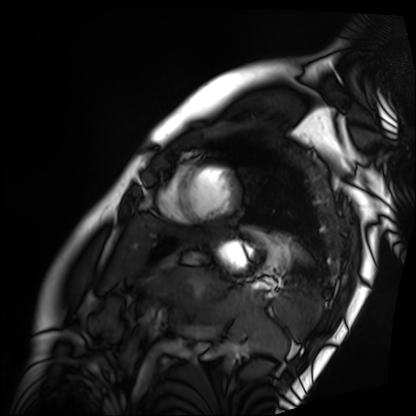
Summary: Cardiac MRI. Subject group: patient.